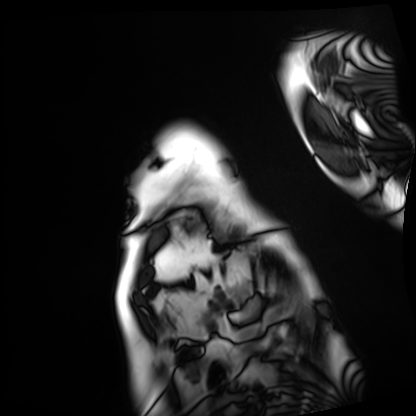
Q: What kind of scan is this?
A: Cardiac MRI.
Subject group: patient.